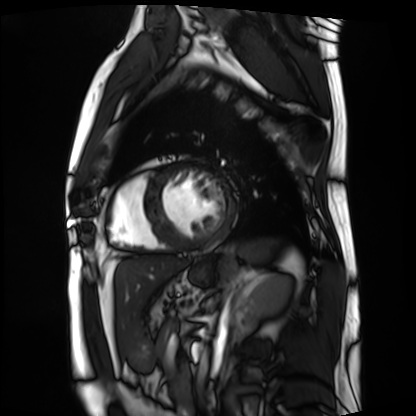
Cardiac MRI.
Subject group: patient.